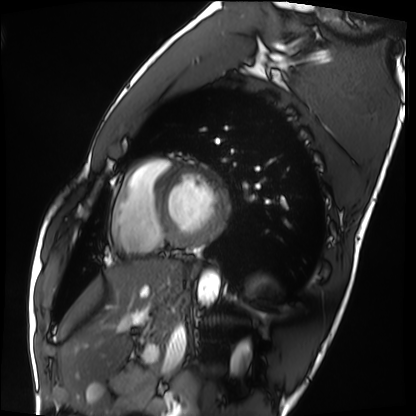
Q: What kind of scan is this?
A: Cardiac MRI.
Subject group: healthy volunteer.